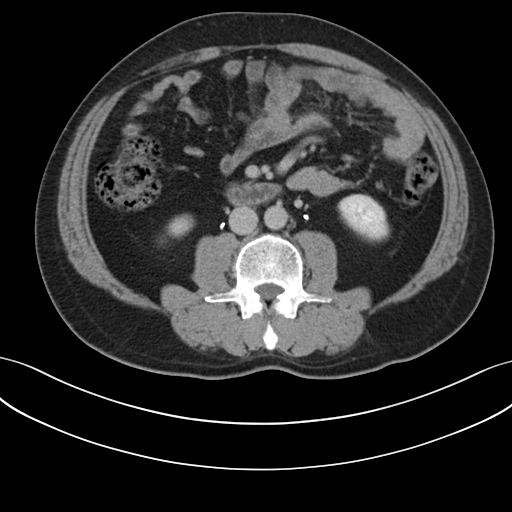
Case summary: Multiphase abdominal CT, liver, delayed phase. Patient: male, age 48.